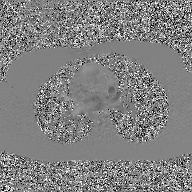
2D phase-contrast cine MRI of the ascending aorta, GAN super-resolution reconstruction.